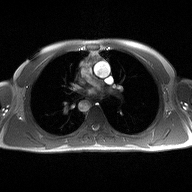
2D phase-contrast cine MRI of the ascending aorta, high-resolution GRAPPA acquisition.